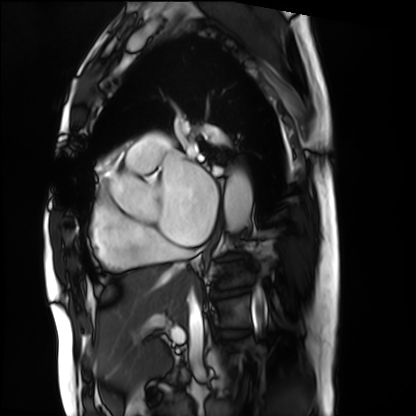
Cardiac MRI.
Subject group: patient.